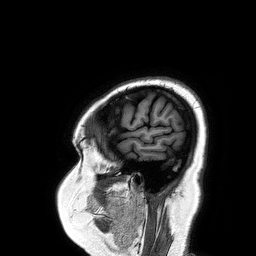
Case summary: 3 Tesla brain MRI. Series: 3D T1-weighted turbo field echo. Study: ring-enhancing brain masses.